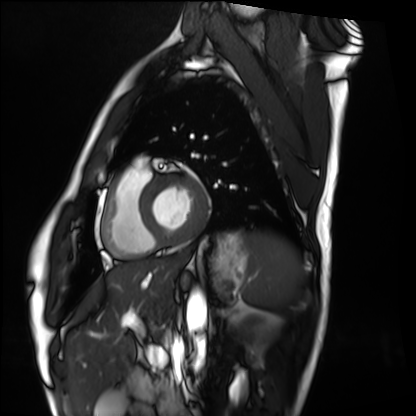
Cardiac MRI.
Subject group: healthy volunteer.